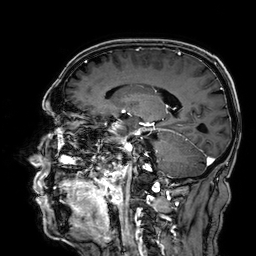
modality: 3 Tesla brain MRI | series: 3D T1-weighted | study: ring-enhancing brain masses.